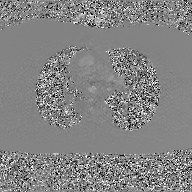
  modality:
    type: 2D phase-contrast cine MRI
    region: ascending aorta
    reconstruction: GAN super-resolution reconstruction